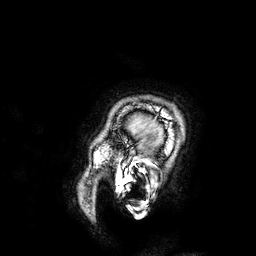
* modality — 3 Tesla brain MRI
* series — 3D T1-weighted
* study — ring-enhancing brain masses